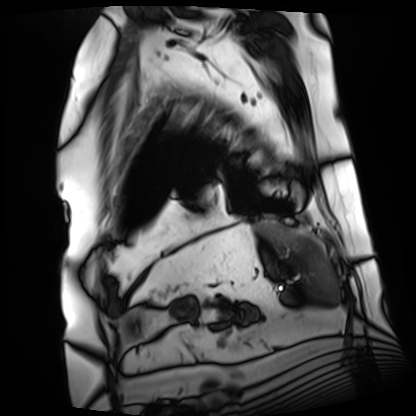
<record>
  <modality>cardiac MRI</modality>
  <cohort>patient</cohort>
</record>